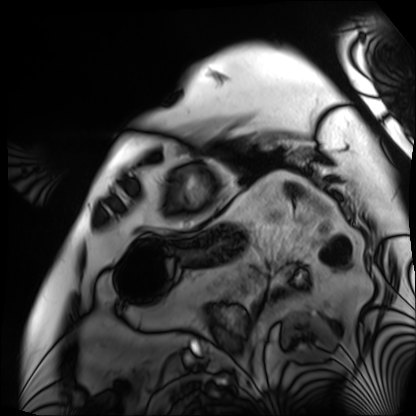
* modality · cardiac MRI
* subject group · patient